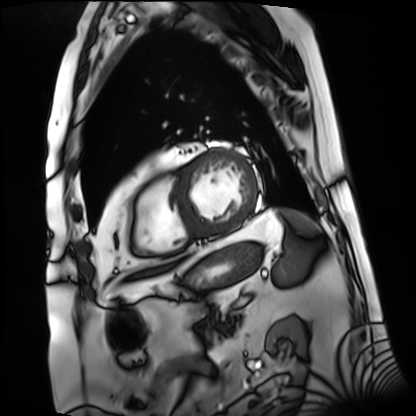
modality: cardiac MRI
subject group: patient